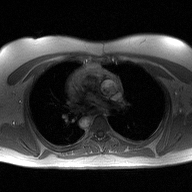
- modality: 2D phase-contrast cine MRI of the ascending aorta